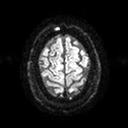
Case:
* modality — 3 Tesla brain MRI
* series — diffusion tensor imaging (medium iso)
* study — ring-enhancing brain masses